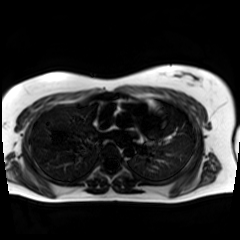
modality = chemical-shift-encoded cardiac MRI.